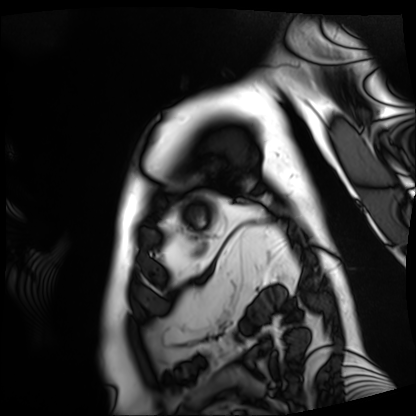
modality: cardiac MRI; subject group: patient.